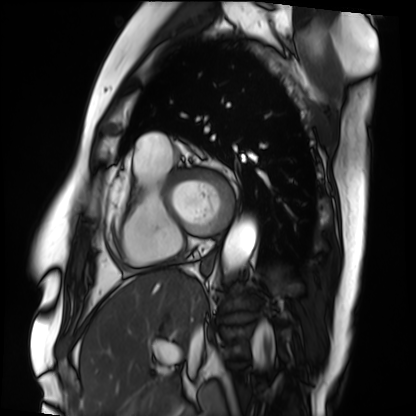
Cardiac MRI.
Subject group: patient.